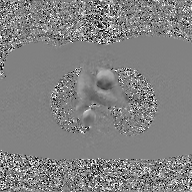
Case:
• modality · 2D phase-contrast cine MRI of the ascending aorta, GAN super-resolution reconstruction